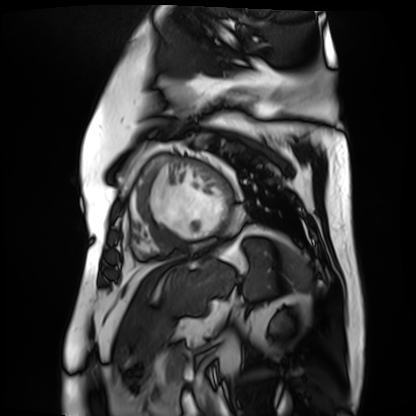
<study>
<modality>cardiac MR image of the myocardium</modality>
<cohort>cardiac patient</cohort>
</study>